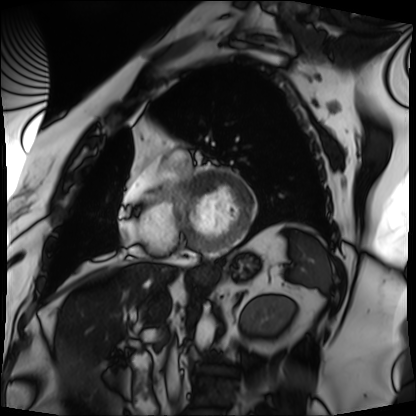
Q: What kind of scan is this?
A: Cardiac MRI.
Subject group: patient.